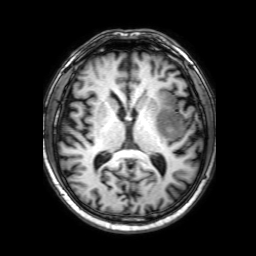
| field | value |
|---|---|
| modality | 3 Tesla brain MRI |
| series | 3D T1-weighted with SENSE |
| study | ring-enhancing brain masses |